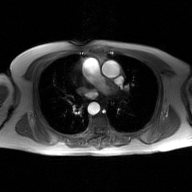
2D phase-contrast cine MRI of the ascending aorta, GAN super-resolution reconstruction.